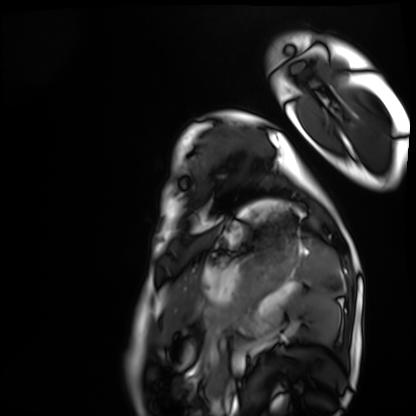
Summary: Cardiac MRI. Subject group: healthy volunteer.